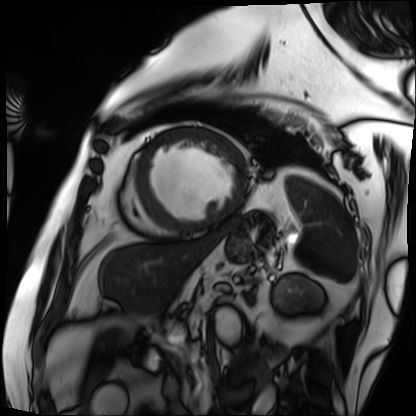
modality — cardiac MRI | subject group — patient.